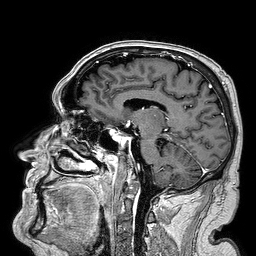
| field | value |
|---|---|
| modality | 3 Tesla brain MRI |
| series | 3D T1-weighted turbo field echo |
| study | ring-enhancing brain masses |